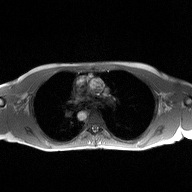
Q: What kind of scan is this?
A: 2D phase-contrast cine MRI of the ascending aorta.